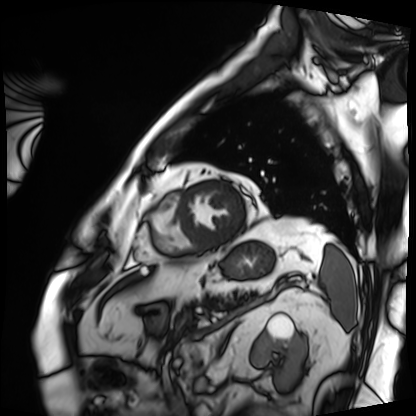
Clinical context: Cardiac MRI. Subject group: patient.